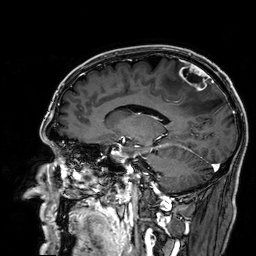
{
  "modality": {
    "type": "brain MRI",
    "field_strength": "3T"
  },
  "study_topic": "ring-enhancing brain masses"
}